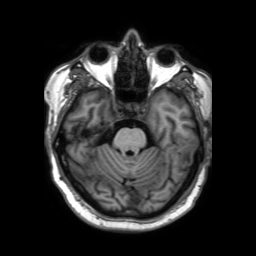
Clinical context:
3 Tesla brain MRI. Series: 3D T1-weighted TFE with SENSE. Study: ring-enhancing brain masses.